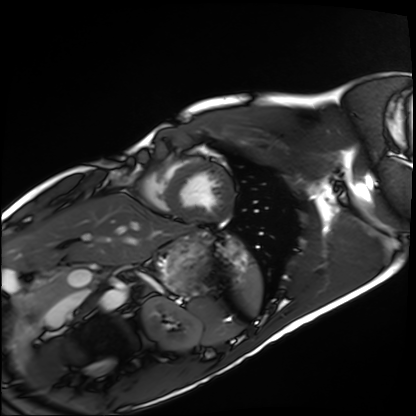
  modality: cardiac MRI
  cohort: healthy volunteer